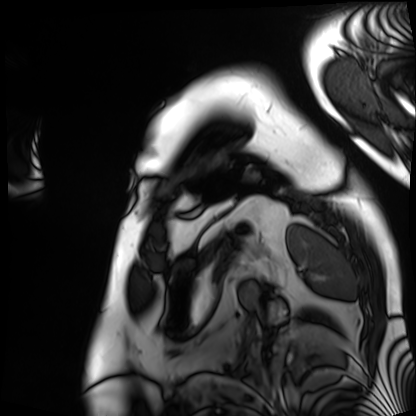
Q: What kind of scan is this?
A: Cardiac MRI.
Subject group: patient.